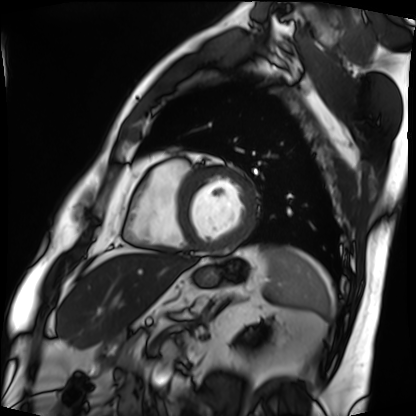
Cardiac MRI. Subject group: patient.